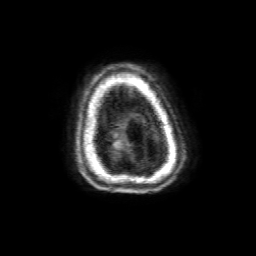
modality: 3 Tesla brain MRI
series: 3D T1-weighted with SENSE
study: ring-enhancing brain masses